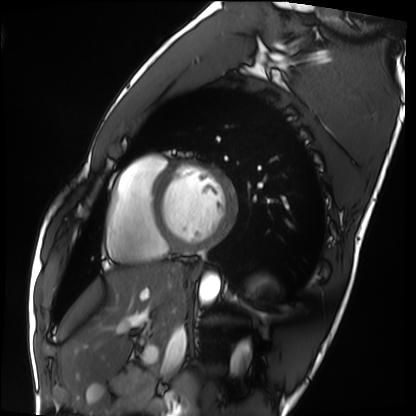
Q: What kind of scan is this?
A: Cardiac MRI.
Subject group: healthy volunteer.